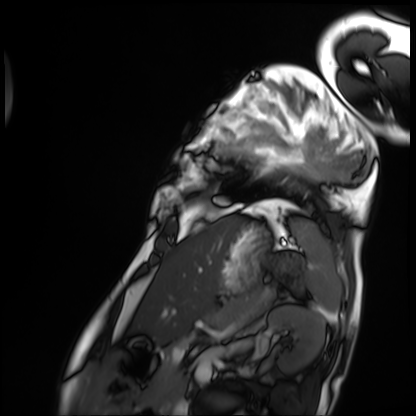
<scan>
  <modality>cardiac MRI</modality>
  <cohort>patient</cohort>
</scan>